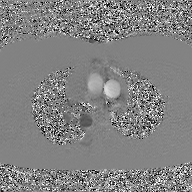
2D phase-contrast cine MRI of the ascending aorta, GAN super-resolution reconstruction.